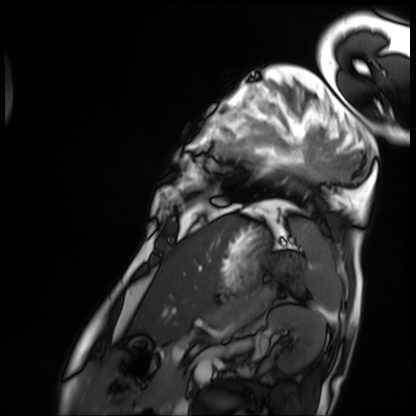
<study>
  <modality>cardiac MRI</modality>
  <cohort>patient</cohort>
</study>